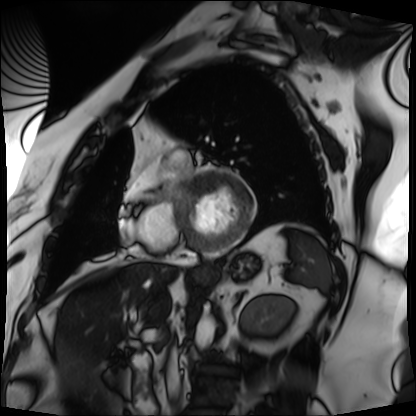
<record>
  <modality>cardiac MRI</modality>
  <cohort>patient</cohort>
</record>